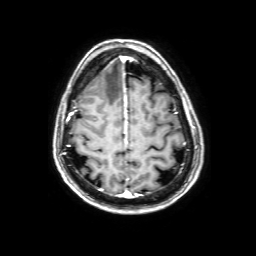
3 Tesla brain MRI.
Series: 3D T1-weighted with SENSE.
Study: ring-enhancing brain masses.